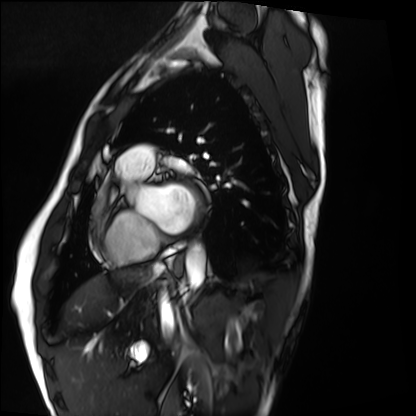
Case summary:
Cardiac MRI. Subject group: healthy volunteer.